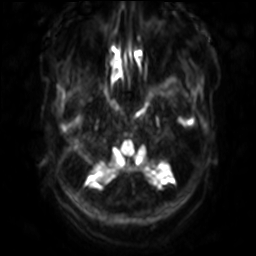
Case summary:
3 Tesla brain MRI. Series: diffusion-weighted imaging with SENSE (WIP). Study: ring-enhancing brain masses.